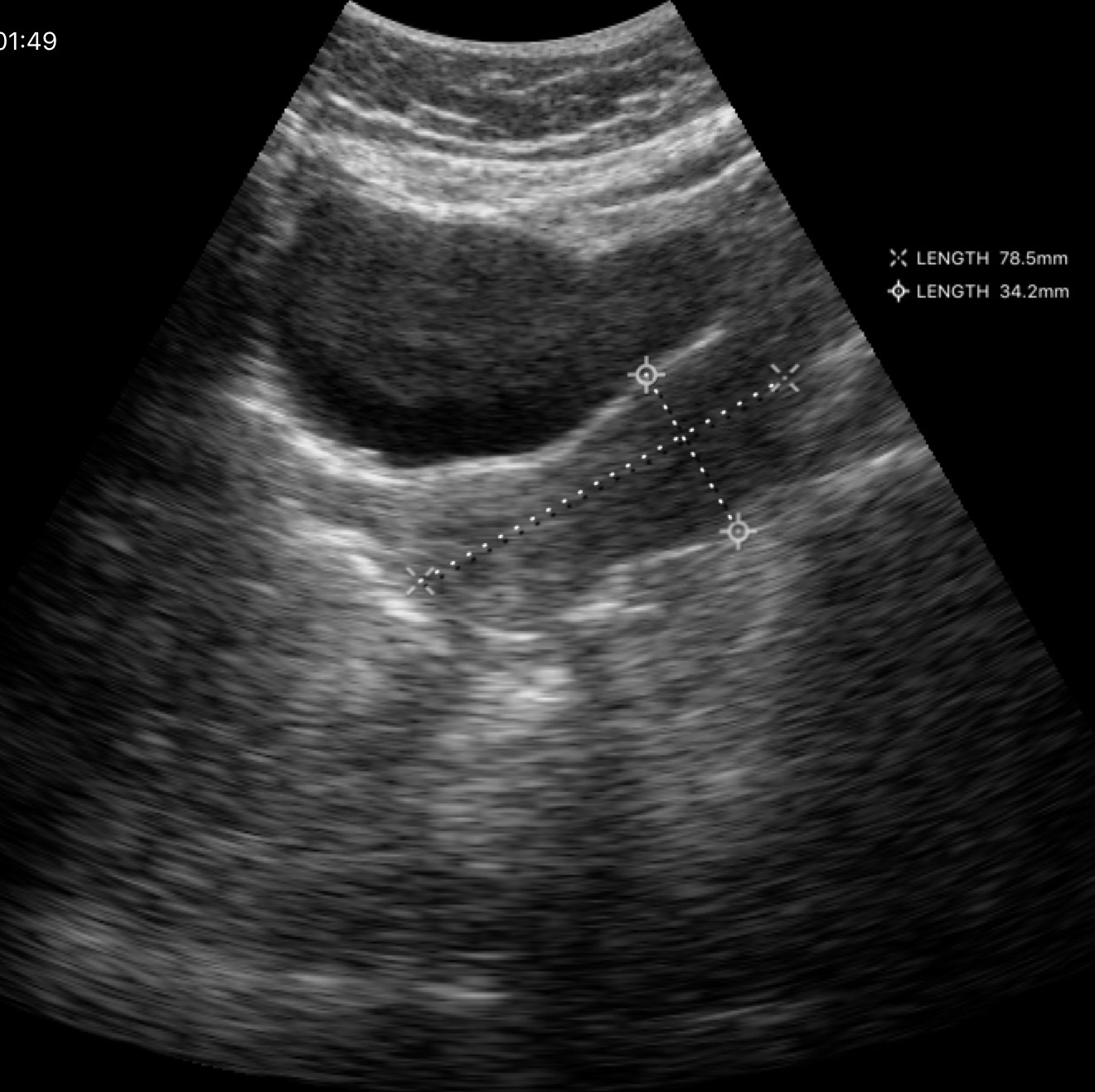
* modality — genitourinary ultrasound